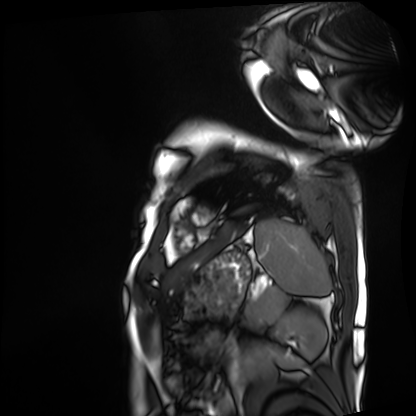
modality: cardiac MRI, subject group: patient.